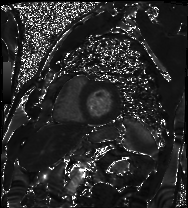
Cardiac MRI. Subject group: patient.